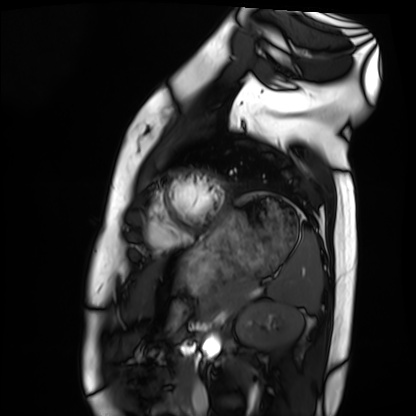
Case summary: Cardiac MRI. Subject group: healthy volunteer.